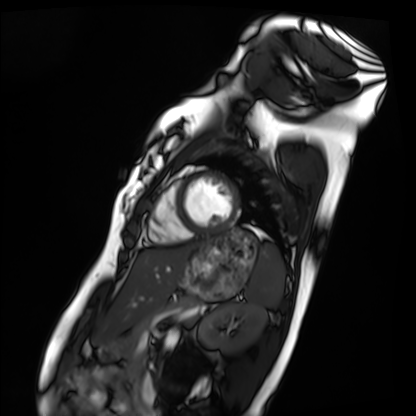
modality: cardiac MRI | subject group: healthy volunteer.